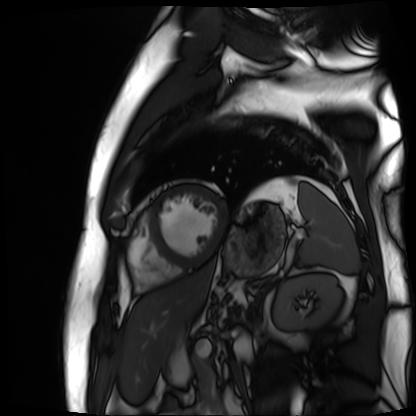
| field | value |
|---|---|
| modality | cardiac MR image of the myocardium |
| subject cohort | cardiac patient |